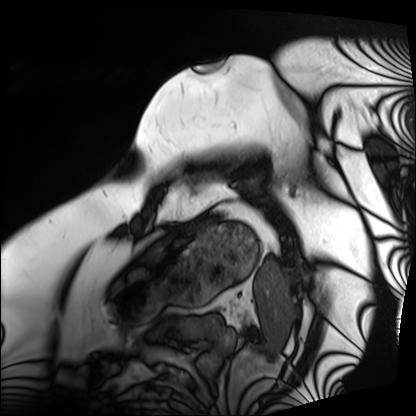
Q: What kind of scan is this?
A: Cardiac MRI.
Subject group: patient.